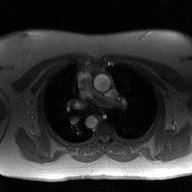
Clinical context: 2D phase-contrast cine MRI of the ascending aorta, high-resolution GRAPPA acquisition.